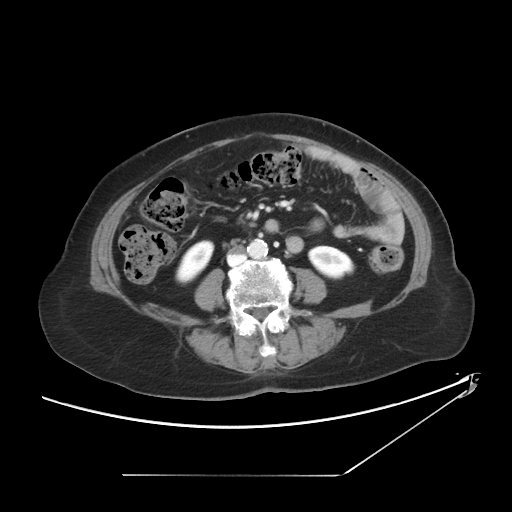
- modality: multiphase abdominal CT, liver, portal venous phase
- patient: female, age 72